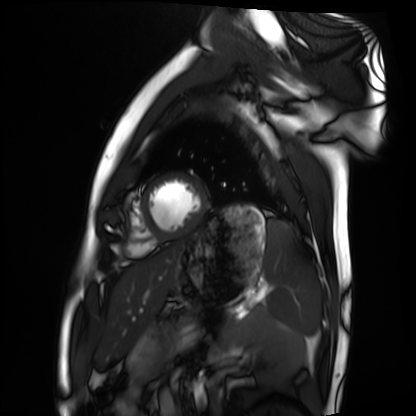
Cardiac MRI.
Subject group: healthy volunteer.